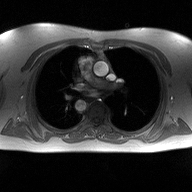
2D phase-contrast cine MRI of the ascending aorta, high-resolution GRAPPA acquisition.